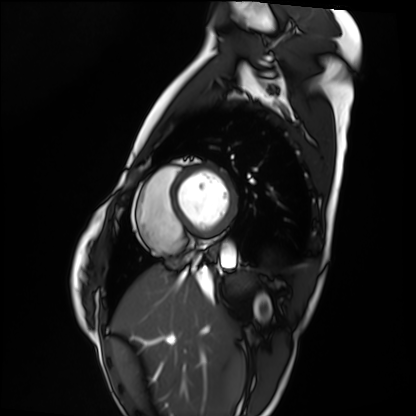
– modality: cardiac MRI
– subject group: healthy volunteer